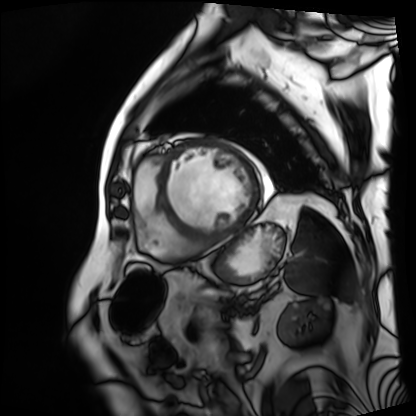
Cardiac MRI. Subject group: patient.